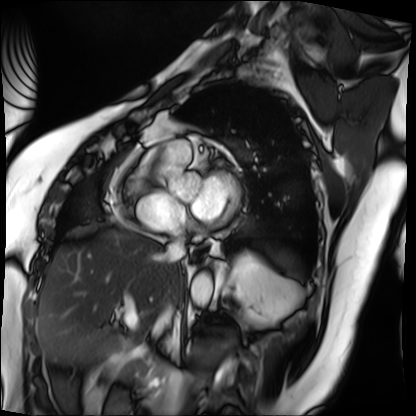
{
  "modality": "cardiac MRI",
  "cohort": "patient"
}